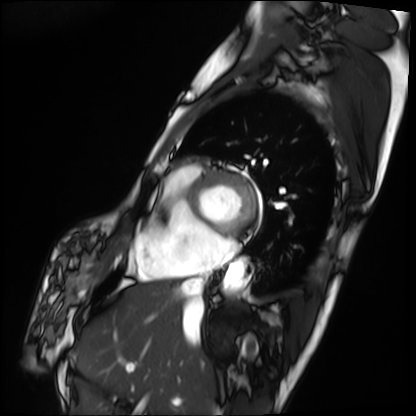
{"modality": "cardiac MRI", "cohort": "patient"}